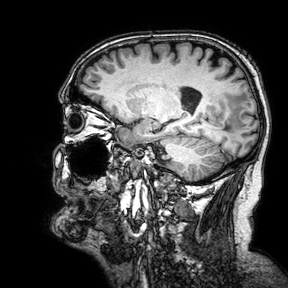
3 Tesla brain MRI. Series: 3D T1-weighted turbo field echo with SENSE. Study: ring-enhancing brain masses.